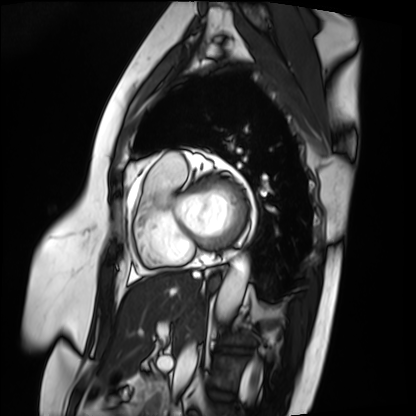
Cardiac MRI.
Subject group: patient.